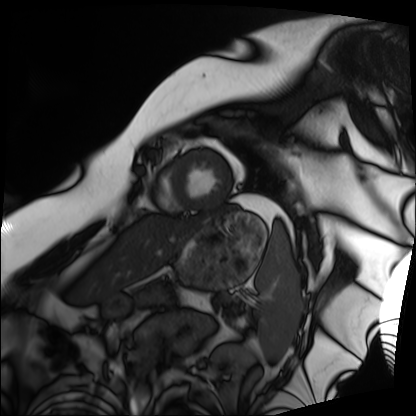
- modality — cardiac MRI
- subject group — patient